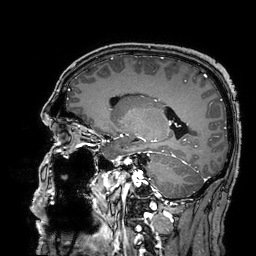
* modality · 3 Tesla brain MRI
* series · 3D T1-weighted turbo field echo with SENSE
* study · ring-enhancing brain masses